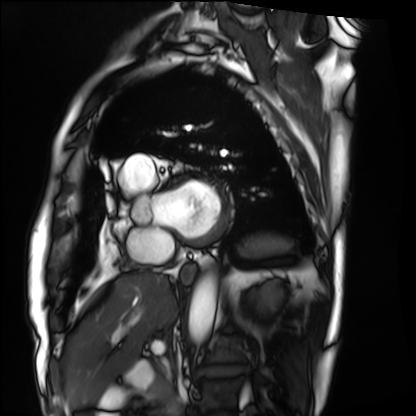
Cardiac MRI. Subject group: patient.